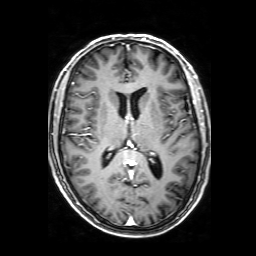
3 Tesla brain MRI. Series: 3D T1-weighted with SENSE. Study: ring-enhancing brain masses.